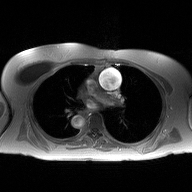
modality: 2D phase-contrast cine MRI of the ascending aorta.